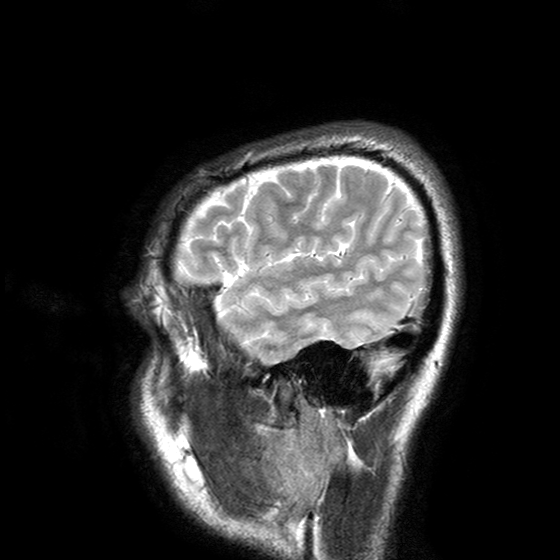
Case:
- modality: 3 Tesla brain MRI
- series: T2-weighted turbo spin echo with SENSE
- study: ring-enhancing brain masses